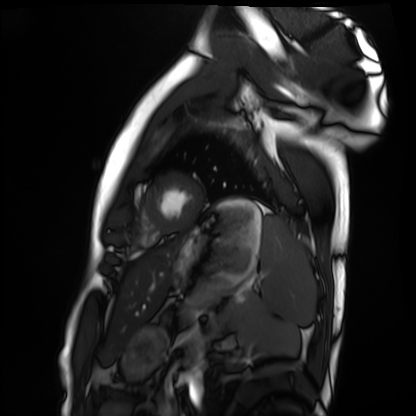
{"modality": "cardiac MRI", "cohort": "healthy volunteer"}